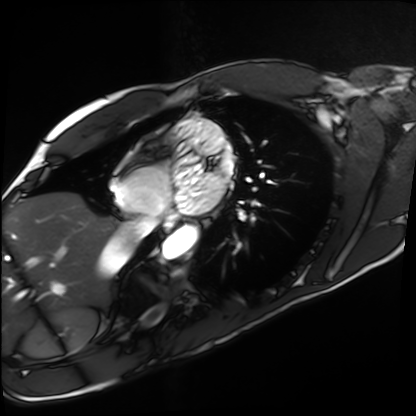
modality: cardiac MRI
cohort: healthy volunteer